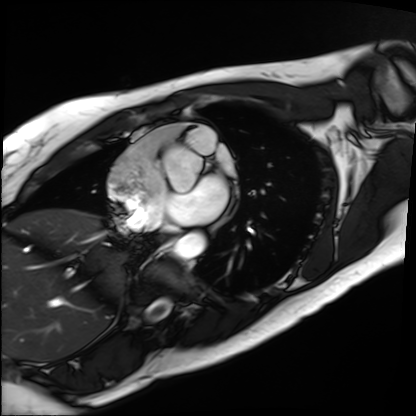
Summary:
Cardiac MRI. Subject group: patient.